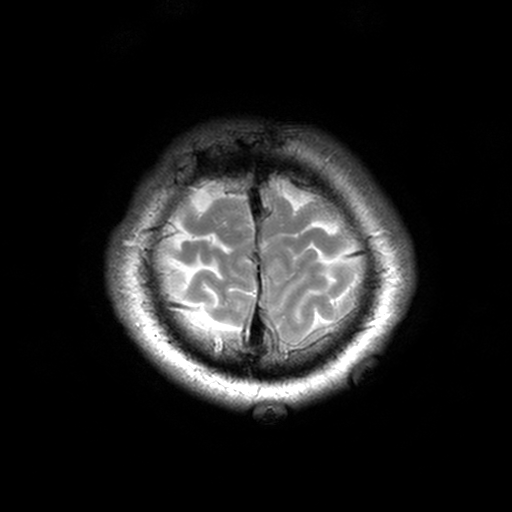
| field | value |
|---|---|
| modality | 3 Tesla brain MRI |
| series | T2-weighted turbo spin echo, 3 mm |
| study | ring-enhancing brain masses |